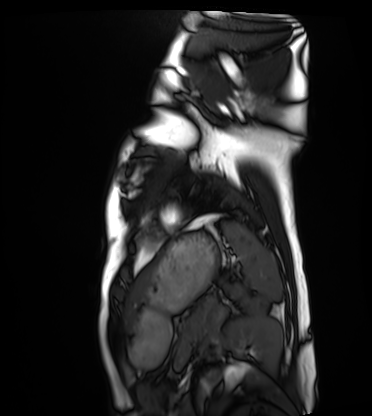
Cardiac MRI.
Subject group: healthy volunteer.